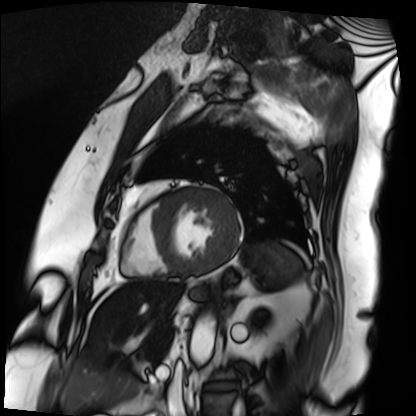
Cardiac MRI. Subject group: patient.